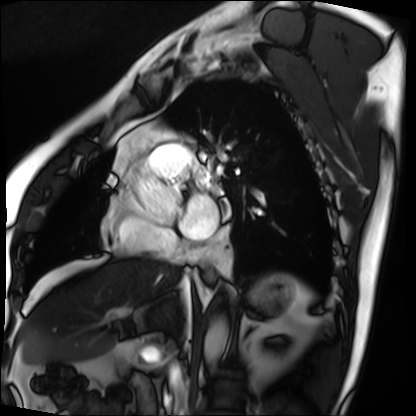
Cardiac MRI. Subject group: patient.